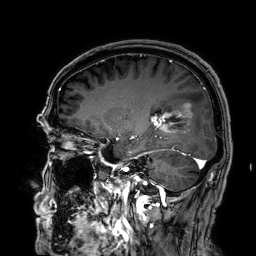
modality = 3 Tesla brain MRI
series = 3D T1-weighted
study = ring-enhancing brain masses